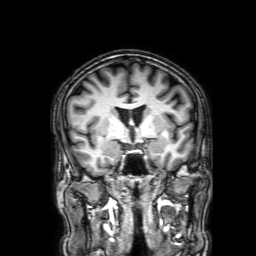
Q: What kind of scan is this?
A: 3 Tesla brain MRI.
Q: Series?
A: 3D T1-weighted with SENSE.
Study: ring-enhancing brain masses.